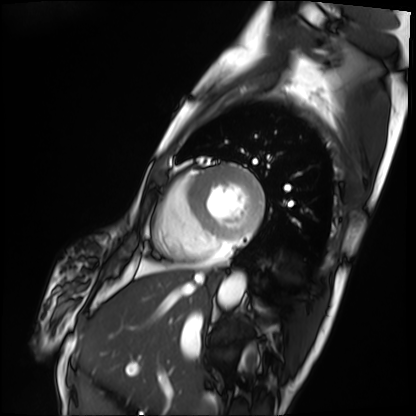
Cardiac MRI. Subject group: patient.